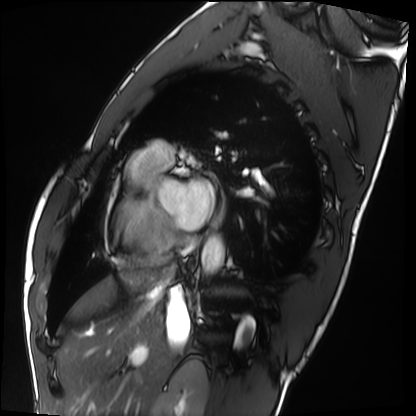
Cardiac MRI. Subject group: healthy volunteer.